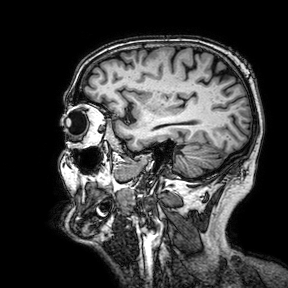
Summary:
3 Tesla brain MRI. Series: 3D T1-weighted turbo field echo with SENSE. Study: ring-enhancing brain masses.